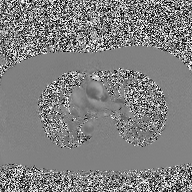
2D phase-contrast cine MRI of the ascending aorta, high-resolution GRAPPA acquisition.